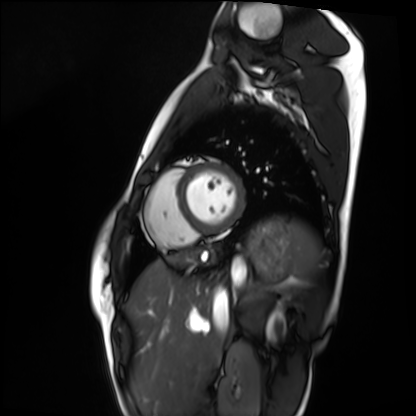
modality=cardiac MRI
subject group=healthy volunteer